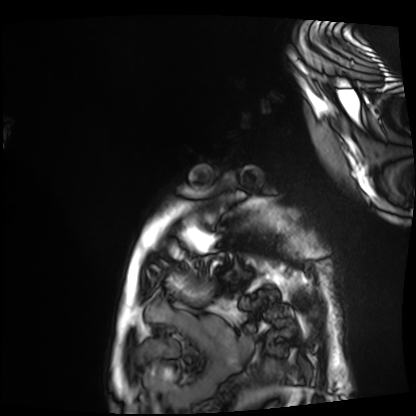
Cardiac MRI. Subject group: patient.